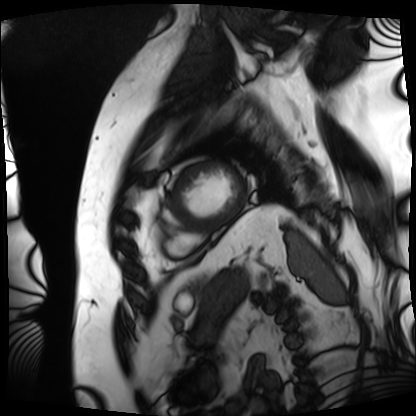
modality: cardiac MRI
subject group: patient